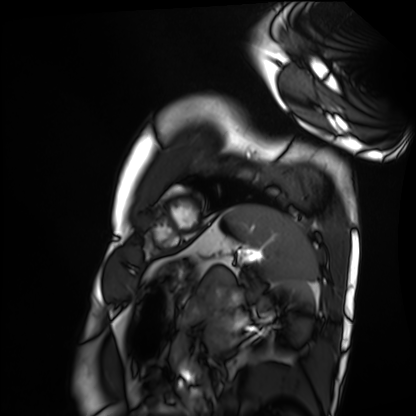
* modality — cardiac MRI
* subject group — healthy volunteer